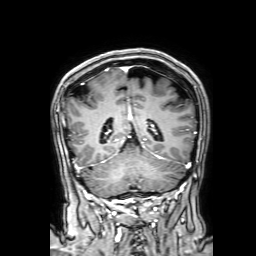
{
  "modality": {
    "type": "brain MRI",
    "field_strength": "3T"
  },
  "series": "3D T1-weighted with SENSE",
  "study_topic": "ring-enhancing brain masses"
}